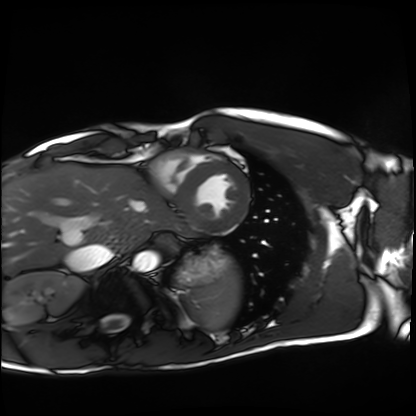
  modality: cardiac MRI
  cohort: healthy volunteer